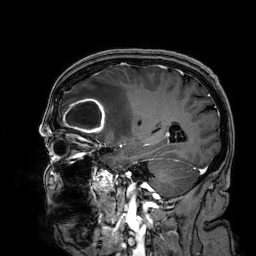
Summary:
3 Tesla brain MRI. Series: 3D T1-weighted. Study: ring-enhancing brain masses.